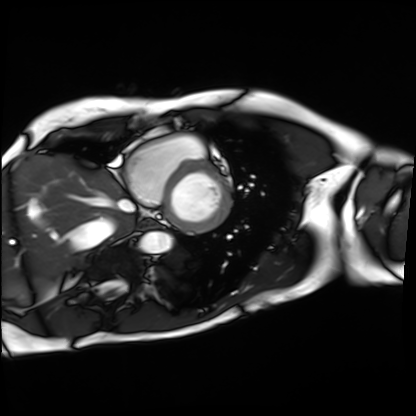
modality = cardiac MRI
subject group = patient